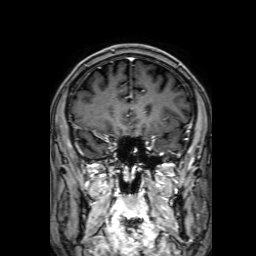
modality: 3 Tesla brain MRI
series: 3D T1-weighted with SENSE
study: ring-enhancing brain masses